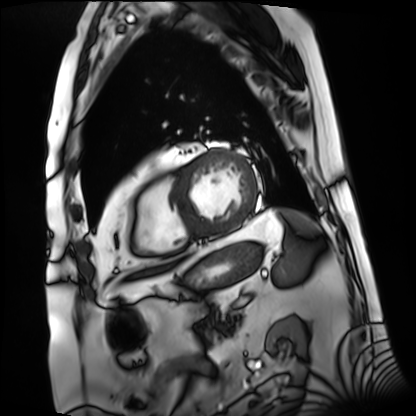
{
  "modality": "cardiac MRI",
  "cohort": "patient"
}